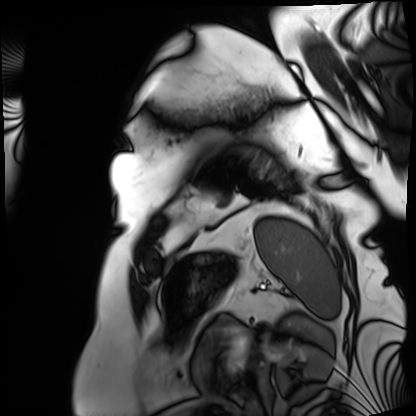
{
  "modality": "cardiac MRI",
  "cohort": "patient"
}